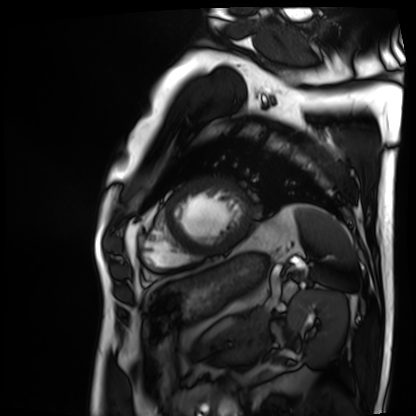
modality=cardiac MRI; subject group=patient.